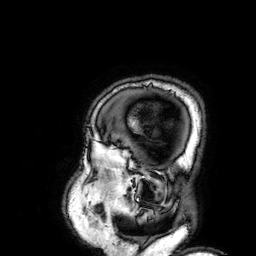
Summary: 3 Tesla brain MRI. Series: 3D T1-weighted. Study: ring-enhancing brain masses.